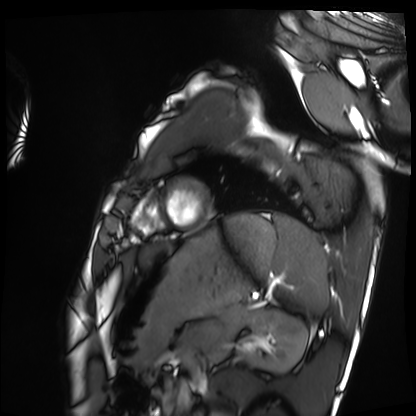
Summary: Cardiac MRI. Subject group: healthy volunteer.